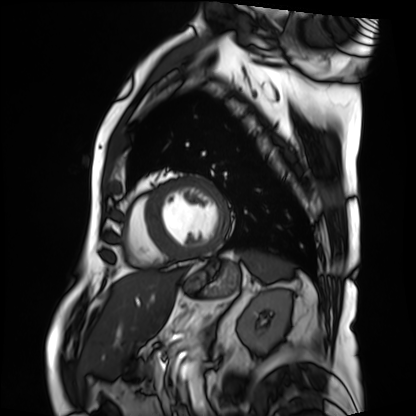
Summary: Cardiac MRI. Subject group: patient.